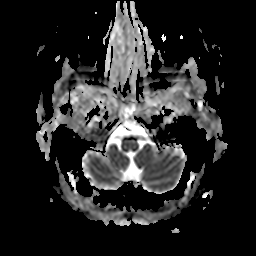
modality: 3 Tesla brain MRI | series: apparent diffusion coefficient (ADC) map | study: ring-enhancing brain masses.